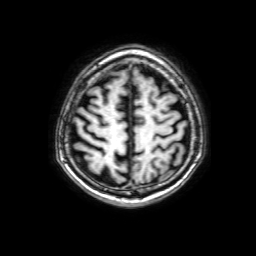
Q: What kind of scan is this?
A: 3 Tesla brain MRI.
Q: Series?
A: 3D T1-weighted with SENSE.
Study: ring-enhancing brain masses.